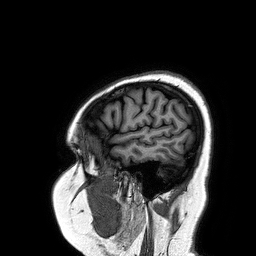
modality — 3 Tesla brain MRI
series — 3D T1-weighted turbo field echo
study — ring-enhancing brain masses